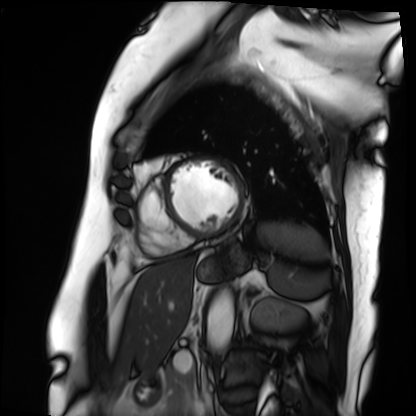
* modality — cardiac MRI
* subject group — patient